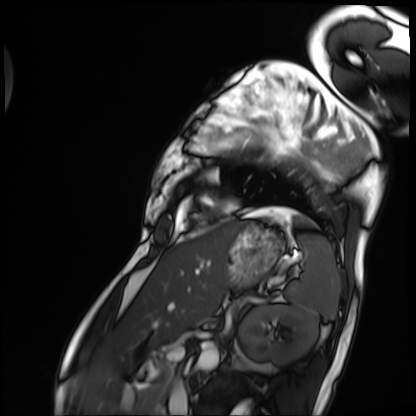
Cardiac MRI.
Subject group: patient.